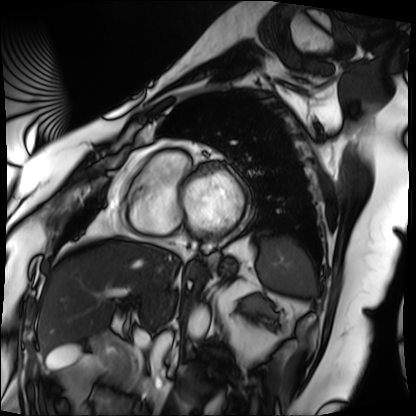
Summary: Cardiac MRI. Subject group: patient.